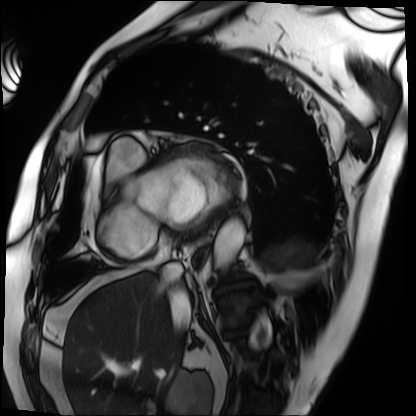
modality = cardiac MRI, subject group = patient.